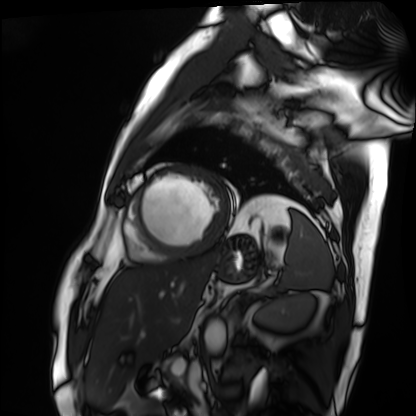
| field | value |
|---|---|
| modality | cardiac MRI |
| subject group | patient |